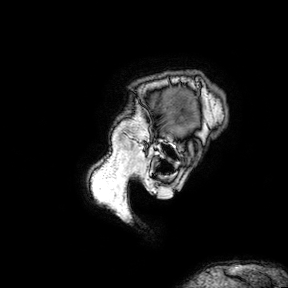
3 Tesla brain MRI.
Series: 3D T1-weighted turbo field echo with SENSE.
Study: ring-enhancing brain masses.